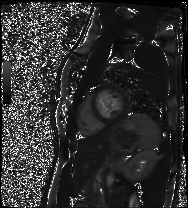
Summary:
Cardiac MRI. Subject group: healthy volunteer.